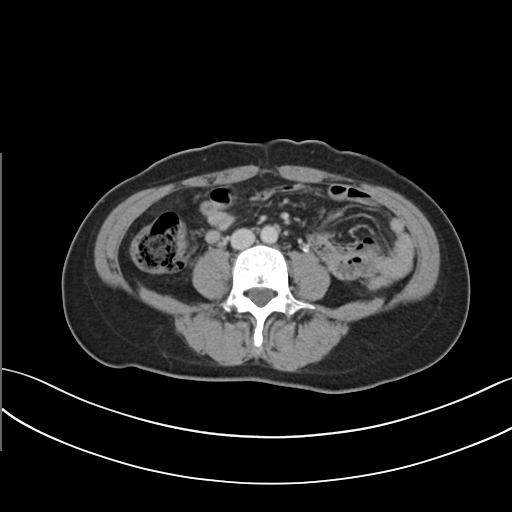
Multiphase abdominal CT, liver, delayed phase.
Patient: female, age 43.